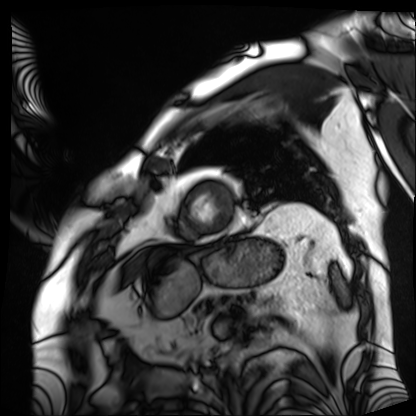
Clinical context: Cardiac MRI. Subject group: patient.